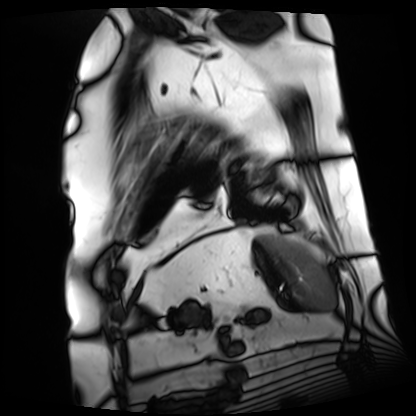
Summary: Cardiac MRI. Subject group: patient.